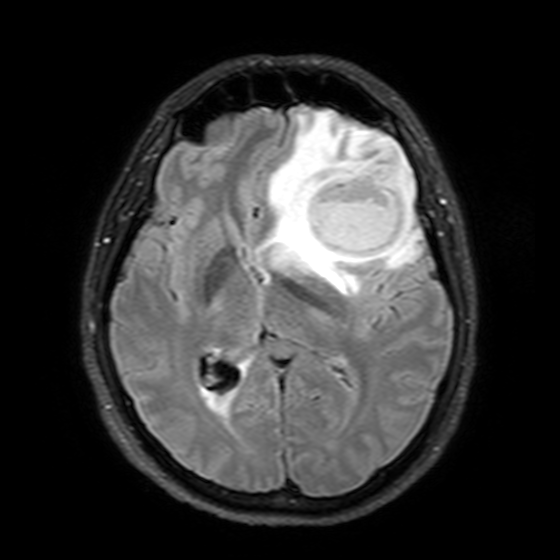
3 Tesla brain MRI. Series: T2-weighted FLAIR. Study: ring-enhancing brain masses.